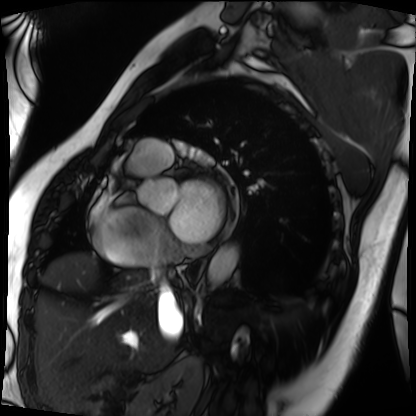
Summary:
Cardiac MRI. Subject group: patient.